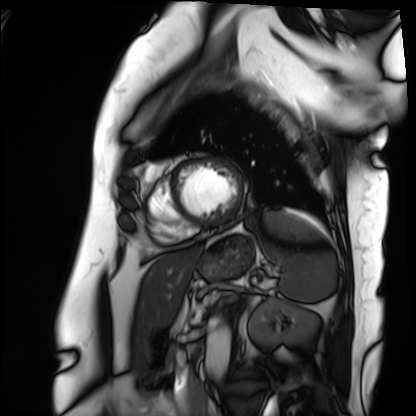
modality = cardiac MRI | subject group = patient.